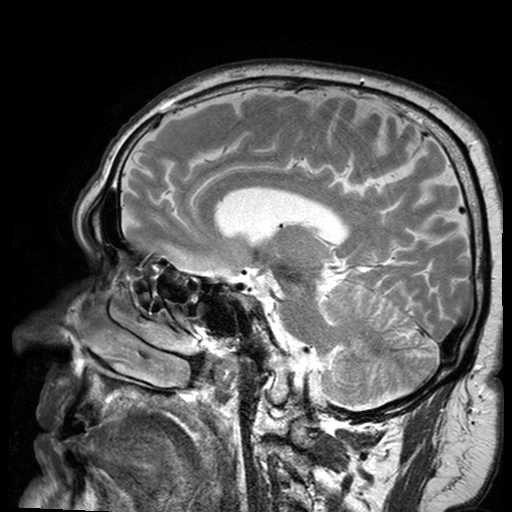
modality=3 Tesla brain MRI
series=T2-weighted turbo spin echo with SENSE
study=ring-enhancing brain masses